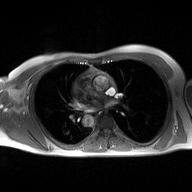
{
  "modality": {
    "type": "2D phase-contrast cine MRI",
    "region": "ascending aorta",
    "reconstruction": "high-resolution GRAPPA acquisition"
  }
}